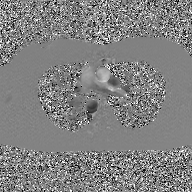
<scan>
  <modality>
    <type>2D phase-contrast cine MRI</type>
    <region>ascending aorta</region>
    <reconstruction>GAN super-resolution reconstruction</reconstruction>
  </modality>
</scan>